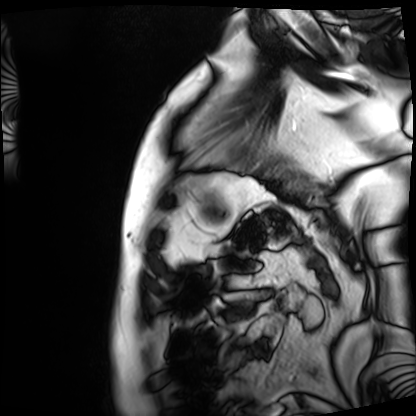
modality: cardiac MRI
cohort: patient